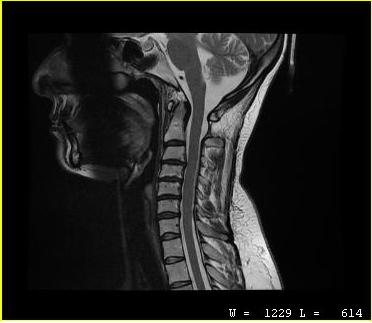
• modality — MRI of the cervical spine
• study — cervical spondylosis